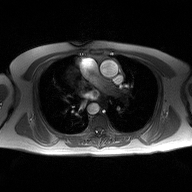
2D phase-contrast cine MRI of the ascending aorta, high-resolution GRAPPA acquisition.